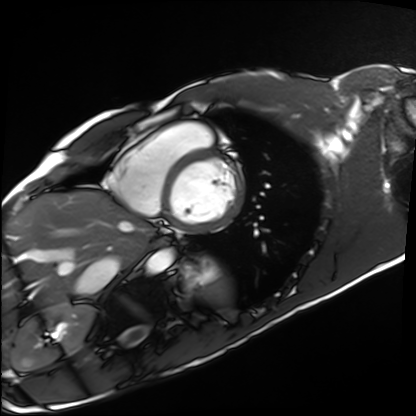
• modality: cardiac MRI
• subject group: healthy volunteer